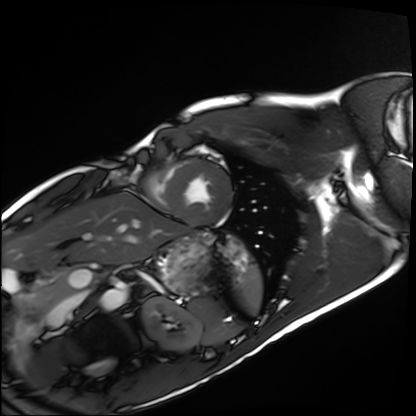
modality = cardiac MRI | subject group = healthy volunteer.